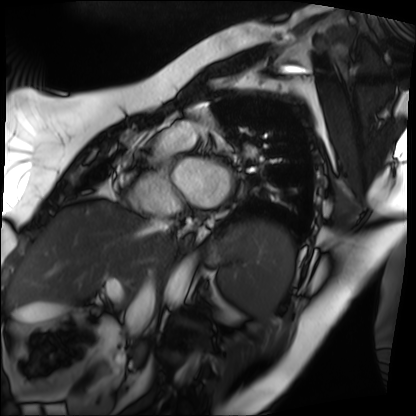
Clinical context: Cardiac MRI. Subject group: patient.